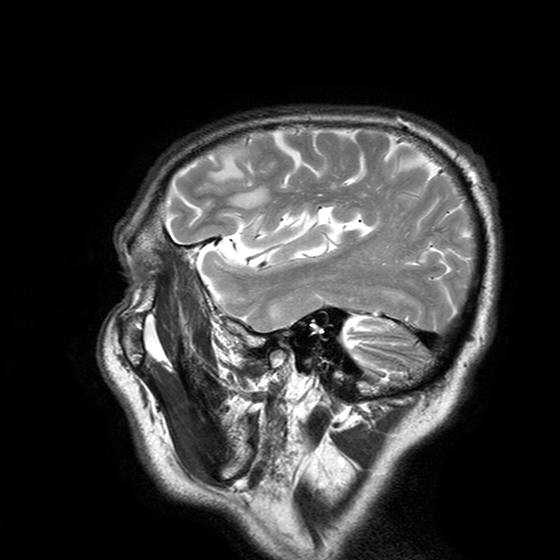
Q: What kind of scan is this?
A: 3 Tesla brain MRI.
Q: Series?
A: T2-weighted turbo spin echo with SENSE.
Study: ring-enhancing brain masses.